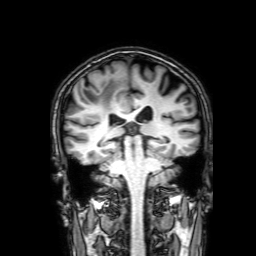
modality=3 Tesla brain MRI
series=3D T1-weighted with SENSE
study=ring-enhancing brain masses